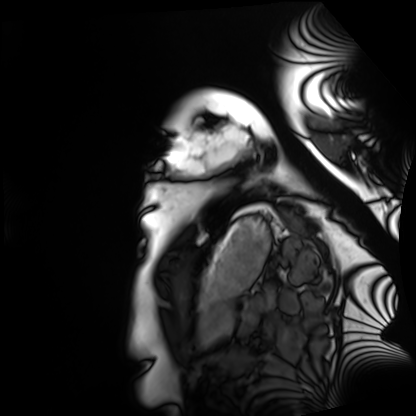
* modality · cardiac MRI
* subject group · healthy volunteer